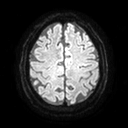
3 Tesla brain MRI.
Study: ring-enhancing brain masses.